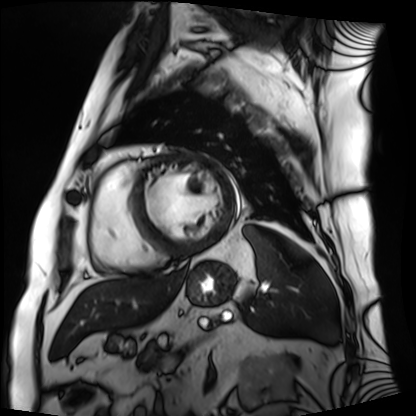
modality: cardiac MRI | subject group: patient.